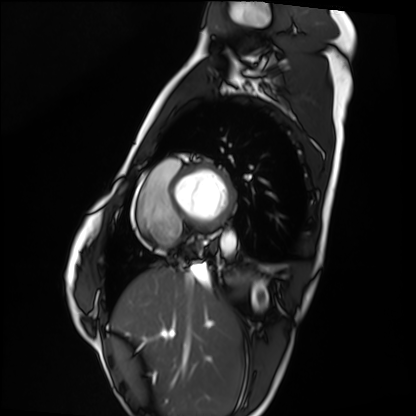
{
  "modality": "cardiac MRI",
  "cohort": "healthy volunteer"
}